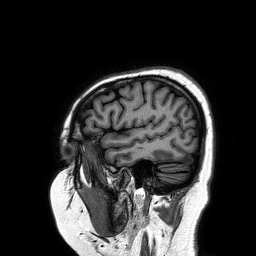
<case>
<modality>
  <type>brain MRI</type>
  <field_strength>3T</field_strength>
</modality>
<series>3D T1-weighted turbo field echo</series>
<study_topic>ring-enhancing brain masses</study_topic>
</case>